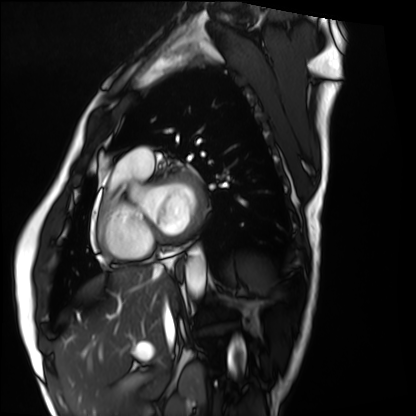
modality = cardiac MRI | subject group = healthy volunteer.